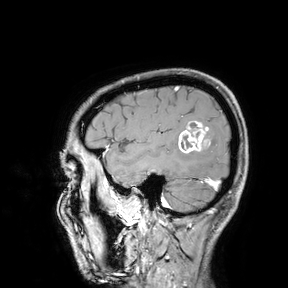
| field | value |
|---|---|
| modality | 3 Tesla brain MRI |
| study | ring-enhancing brain masses |